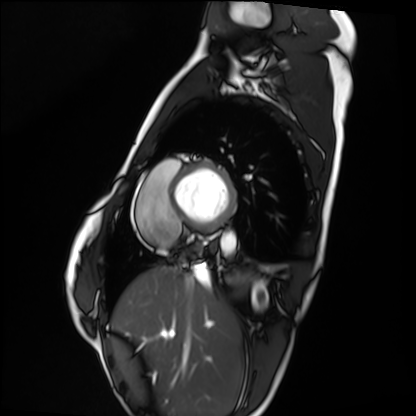
Summary:
Cardiac MRI. Subject group: healthy volunteer.